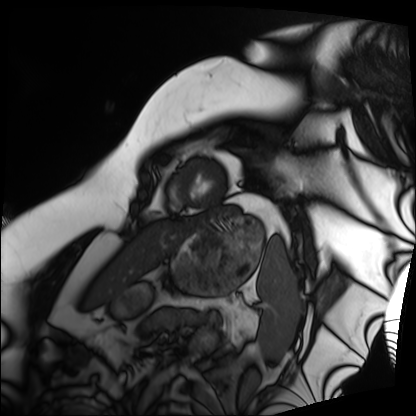
modality — cardiac MRI
subject group — patient